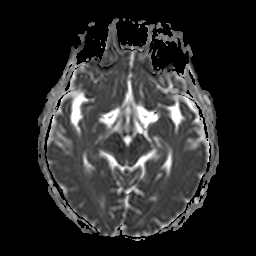
Summary: 3 Tesla brain MRI. Series: apparent diffusion coefficient (ADC) map. Study: ring-enhancing brain masses.